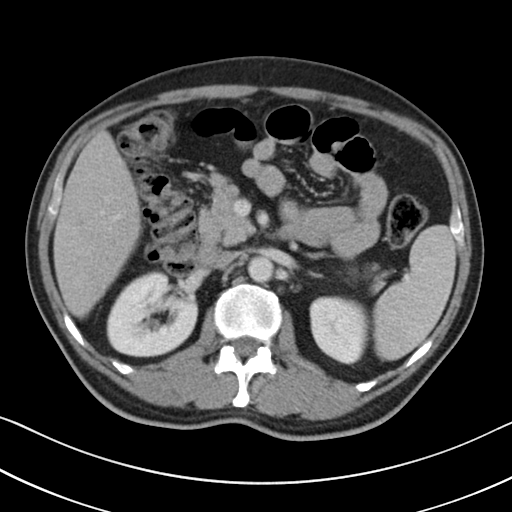
Case summary:
Multiphase abdominal CT, liver, portal venous phase. Patient: male, age 50. History: viral hepatitis.